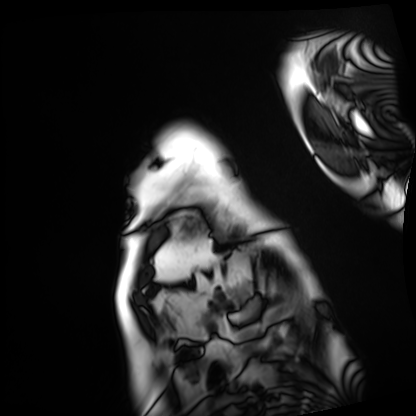
Cardiac MRI. Subject group: patient.